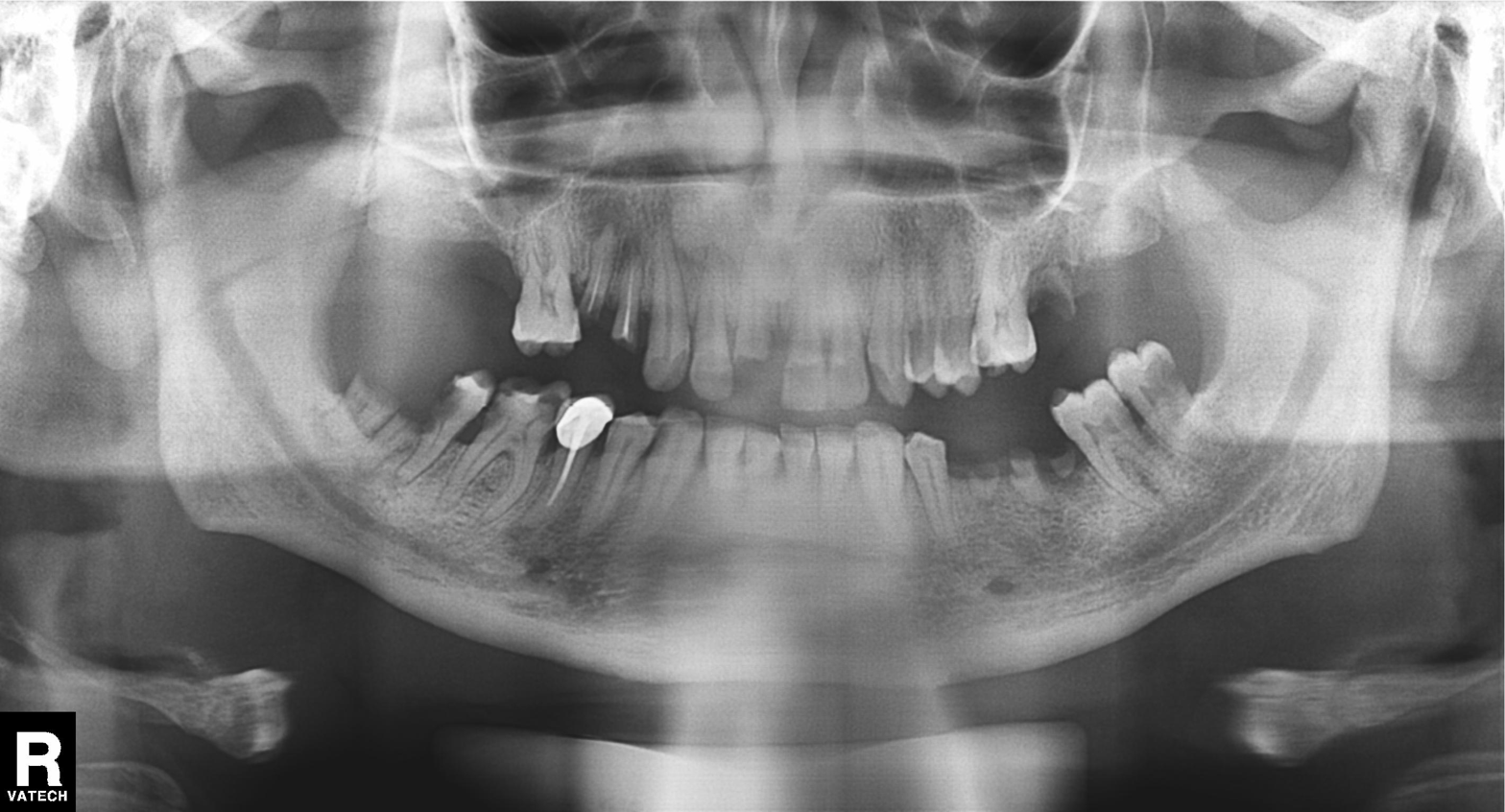
{"modality": "panoramic dental radiograph (orthopantomogram)", "finding": "alveolar bone loss"}